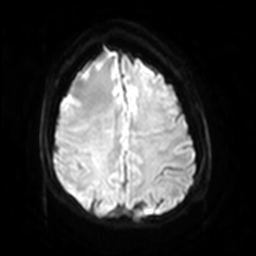
modality=3 Tesla brain MRI | series=diffusion-weighted imaging with SENSE (WIP) | study=ring-enhancing brain masses.